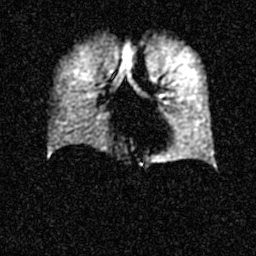
Clinical context:
Hyperpolarized 129Xe ventilation MRI of the lungs. SNR level 4 of 8 (the deposit holds this scan as its native image and as seven SNR-degraded versions).